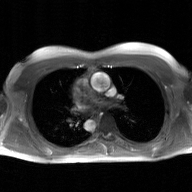
2D phase-contrast cine MRI of the ascending aorta, GAN super-resolution reconstruction.